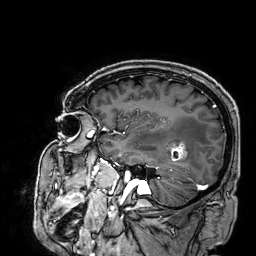
* modality · 3 Tesla brain MRI
* study · ring-enhancing brain masses